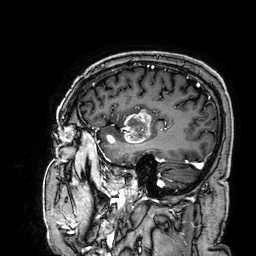
<record>
  <modality>
    <type>brain MRI</type>
    <field_strength>3T</field_strength>
  </modality>
  <series>3D T1-weighted</series>
  <study_topic>ring-enhancing brain masses</study_topic>
</record>